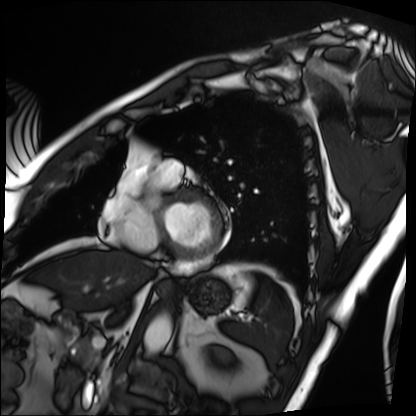
Cardiac MRI.
Subject group: patient.